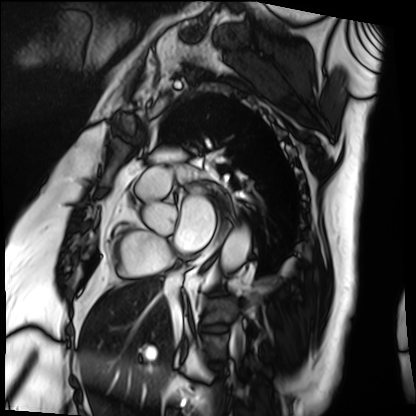
Cardiac MRI.
Subject group: patient.